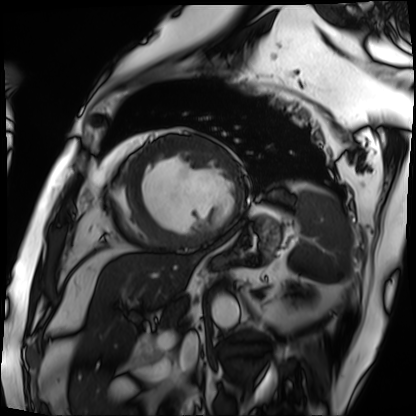
Case summary: Cardiac MRI. Subject group: patient.